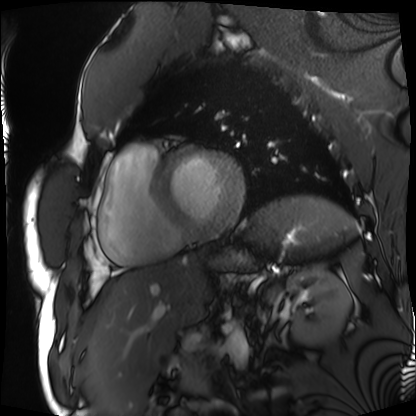
Cardiac MRI. Subject group: patient.